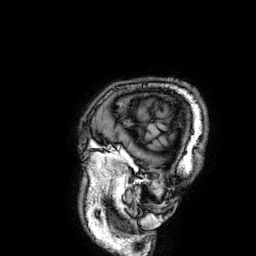
3 Tesla brain MRI. Series: 3D T1-weighted. Study: ring-enhancing brain masses.